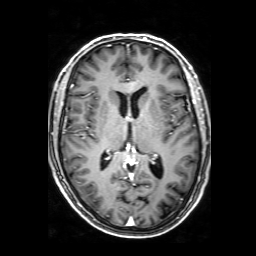
3 Tesla brain MRI.
Series: 3D T1-weighted with SENSE.
Study: ring-enhancing brain masses.